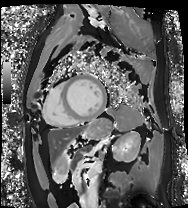
Cardiac MRI.
Subject group: patient.